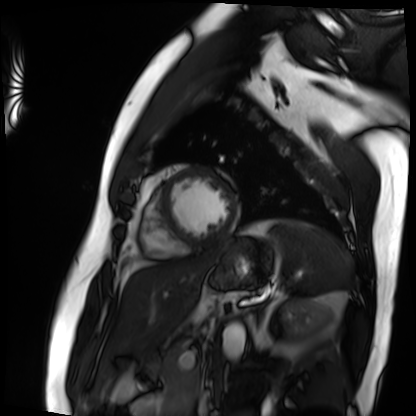
- modality — cardiac MRI
- subject group — patient